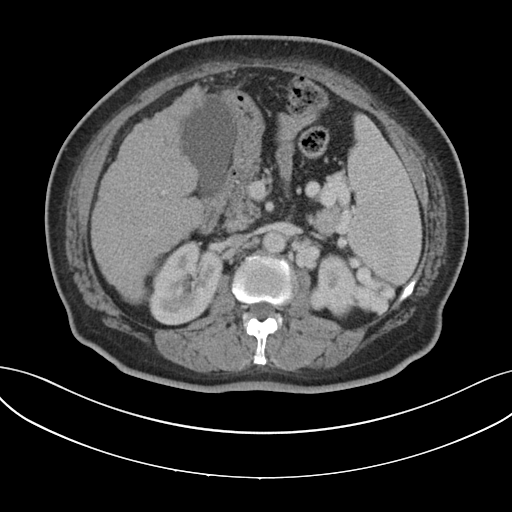
Q: What kind of scan is this?
A: Multiphase abdominal CT, liver, portal venous phase.
Q: Patient?
A: Female, age 62.